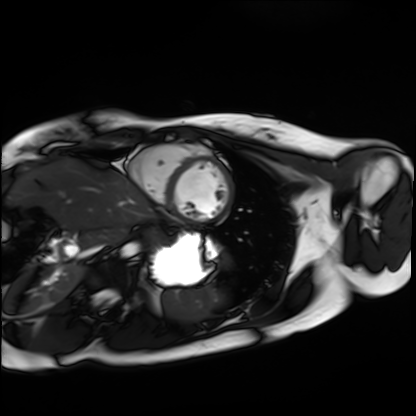
Q: What kind of scan is this?
A: Cardiac MRI.
Subject group: healthy volunteer.